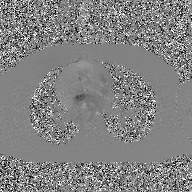
{"modality": {"type": "2D phase-contrast cine MRI", "region": "ascending aorta", "reconstruction": "GAN super-resolution reconstruction"}}